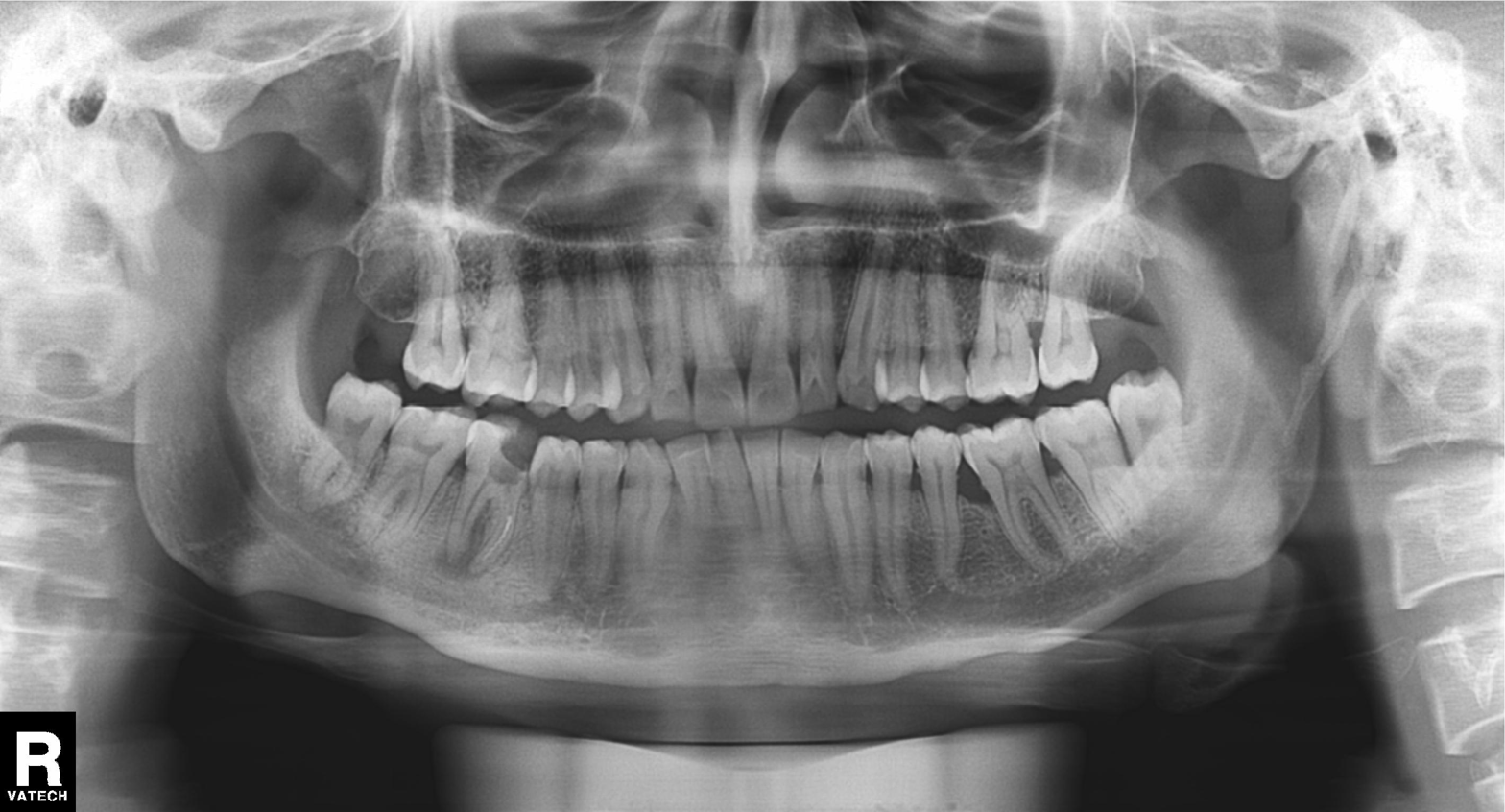
Case summary: Panoramic dental radiograph (orthopantomogram).
Diagnosis: Tooth impaction.